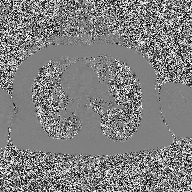
modality: 2D phase-contrast cine MRI of the ascending aorta